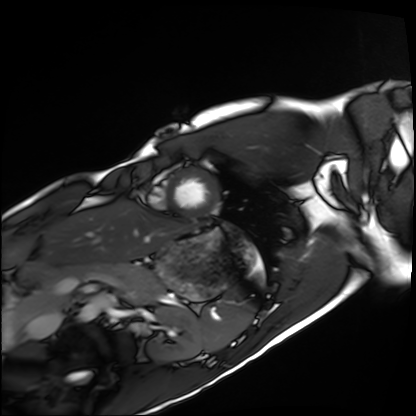
<study>
<modality>cardiac MRI</modality>
<cohort>healthy volunteer</cohort>
</study>